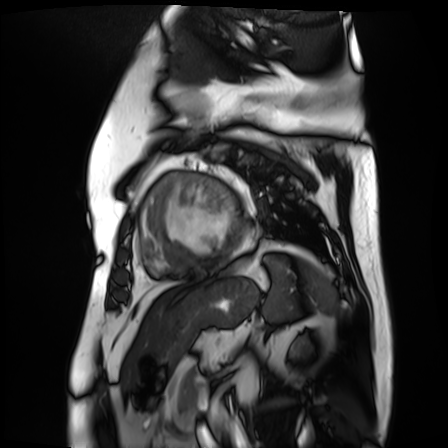
Q: What kind of scan is this?
A: Cardiac MR image of the myocardium.
Subject cohort: cardiac patient.